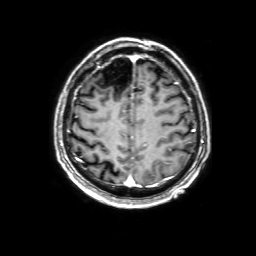
Q: What kind of scan is this?
A: 3 Tesla brain MRI.
Q: Series?
A: 3D T1-weighted with SENSE.
Study: ring-enhancing brain masses.